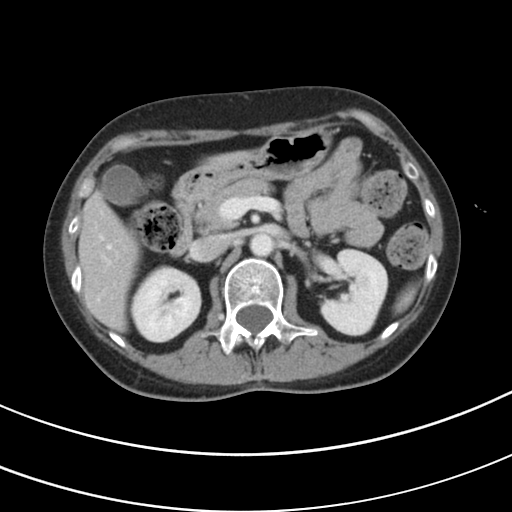
Multiphase abdominal CT, liver, portal venous phase.